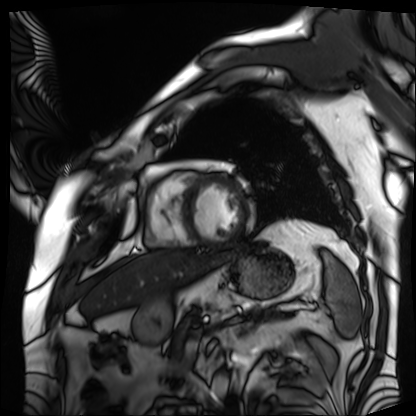
Cardiac MRI. Subject group: patient.